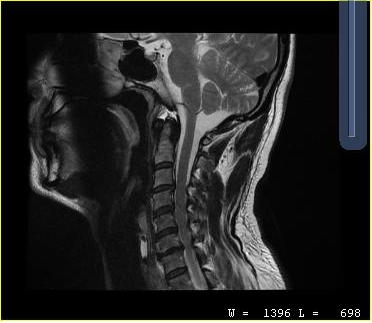
modality: MRI of the cervical spine | study: cervical spondylosis.